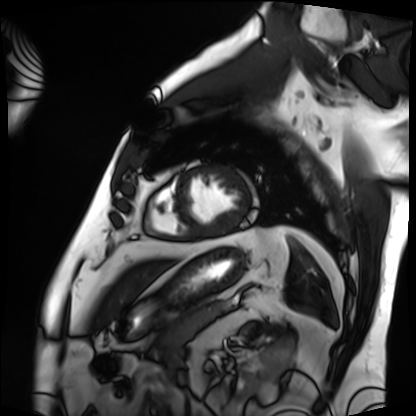
<case>
<modality>cardiac MRI</modality>
<cohort>patient</cohort>
</case>